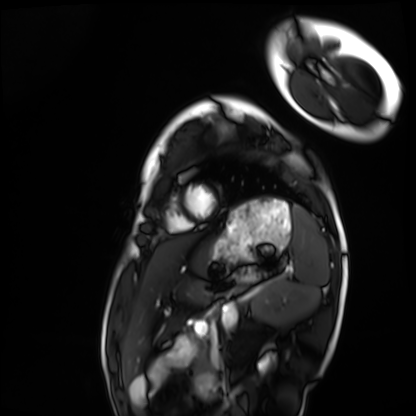
{"modality": "cardiac MRI", "cohort": "healthy volunteer"}